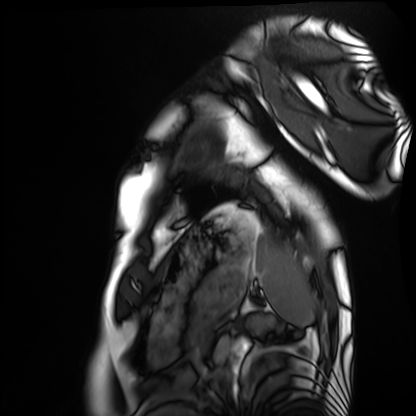
Summary:
Cardiac MRI. Subject group: healthy volunteer.